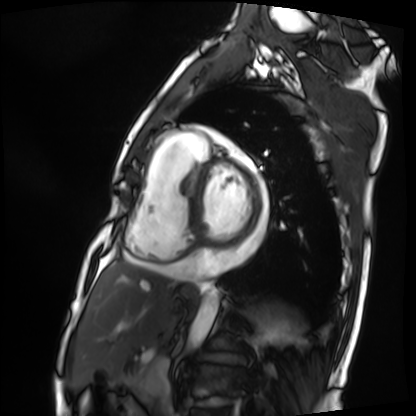
modality: cardiac MRI, subject group: patient.